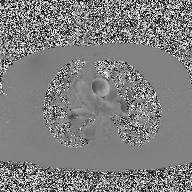
2D phase-contrast cine MRI of the ascending aorta, high-resolution GRAPPA acquisition.